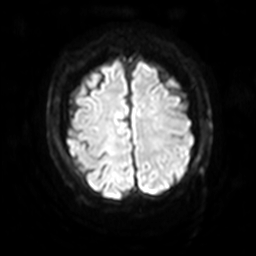
3 Tesla brain MRI. Series: diffusion-weighted imaging with SENSE (WIP). Study: ring-enhancing brain masses.